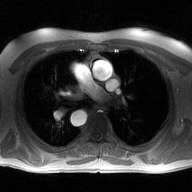
Clinical context: 2D phase-contrast cine MRI of the ascending aorta, high-resolution GRAPPA acquisition.